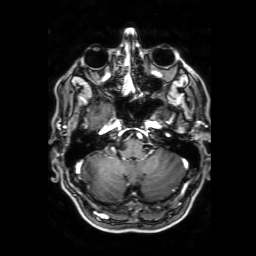
Summary: 3 Tesla brain MRI. Series: 3D T1-weighted with SENSE. Study: ring-enhancing brain masses.